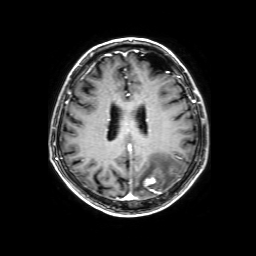
Clinical context: 3 Tesla brain MRI. Series: 3D T1-weighted with SENSE. Study: ring-enhancing brain masses.